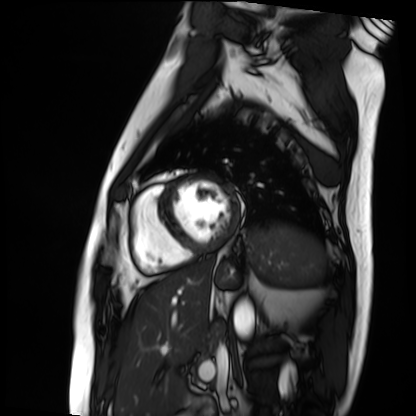
modality: cardiac MRI; subject group: patient.